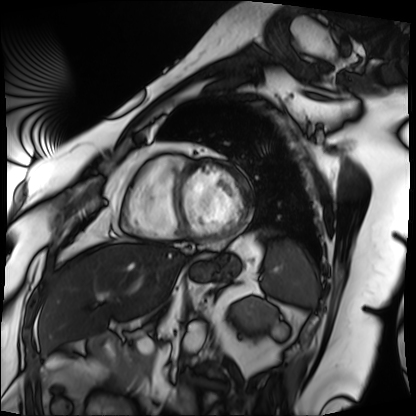
Cardiac MRI. Subject group: patient.